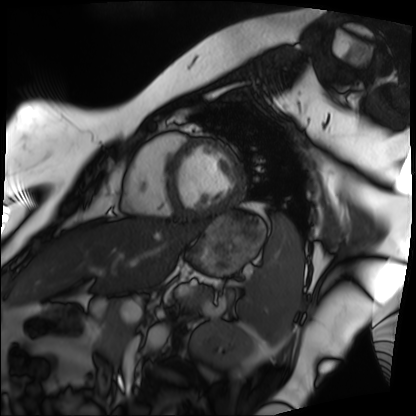
- modality: cardiac MRI
- subject group: patient